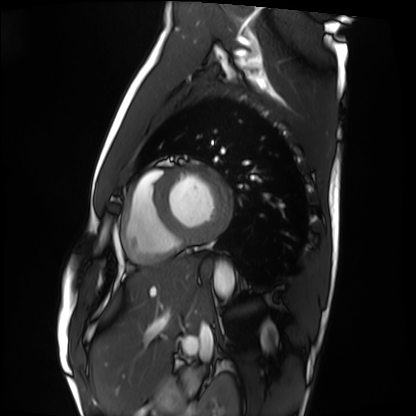
Cardiac MRI.
Subject group: healthy volunteer.